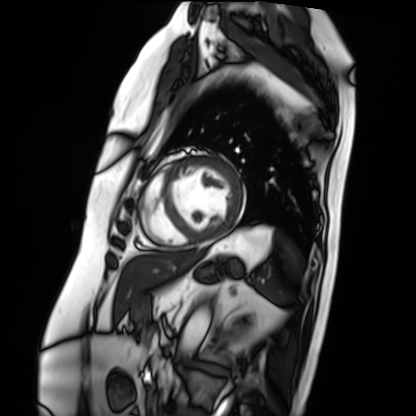
Cardiac MRI.
Subject group: patient.